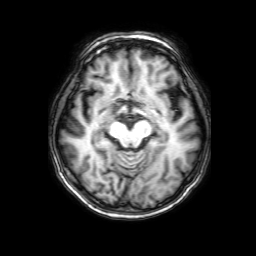
Summary:
3 Tesla brain MRI. Series: 3D T1-weighted with SENSE. Study: ring-enhancing brain masses.